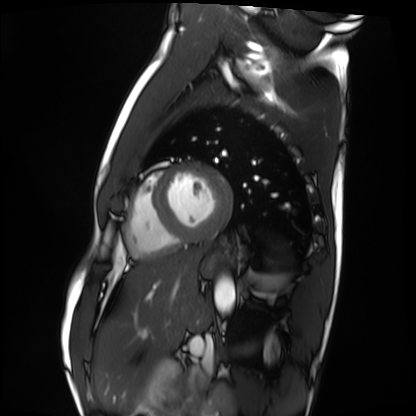
Cardiac MRI. Subject group: healthy volunteer.